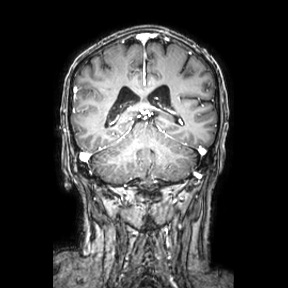
3 Tesla brain MRI.
Series: coronal.
Study: ring-enhancing brain masses.